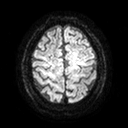
modality — 3 Tesla brain MRI | series — diffusion tensor imaging (medium iso) | study — ring-enhancing brain masses.